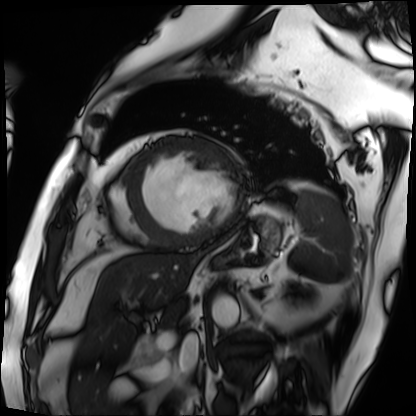
Cardiac MRI. Subject group: patient.